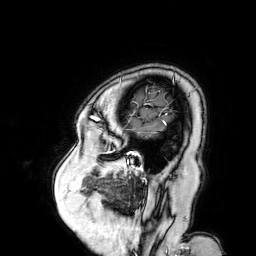
modality=3 Tesla brain MRI; series=3D T1-weighted turbo field echo with SENSE; study=ring-enhancing brain masses.